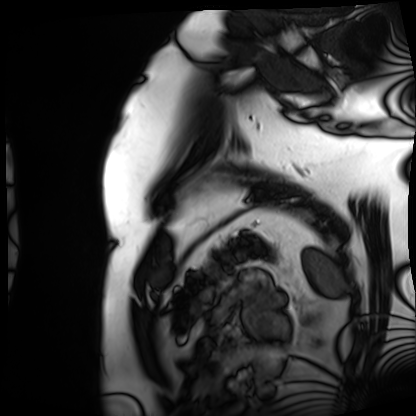
modality = cardiac MRI
subject group = patient